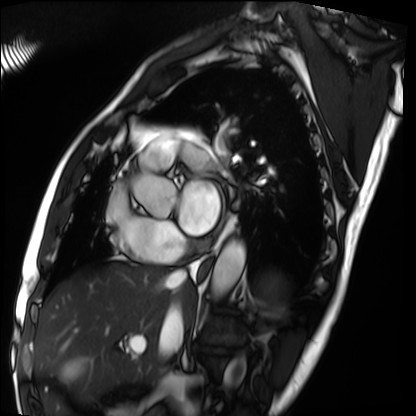
Q: What kind of scan is this?
A: Cardiac MRI.
Subject group: patient.